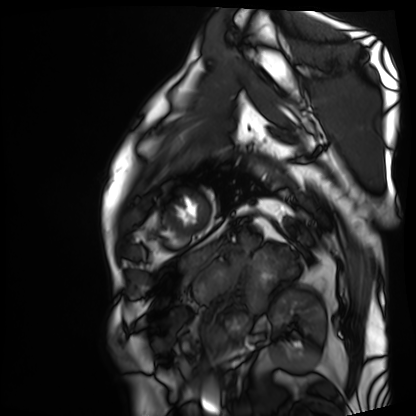
Cardiac MRI.
Subject group: patient.